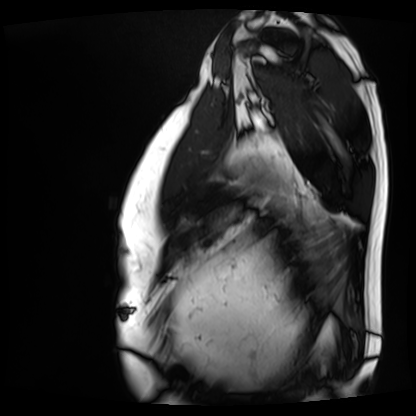
modality — cardiac MRI; subject group — patient.